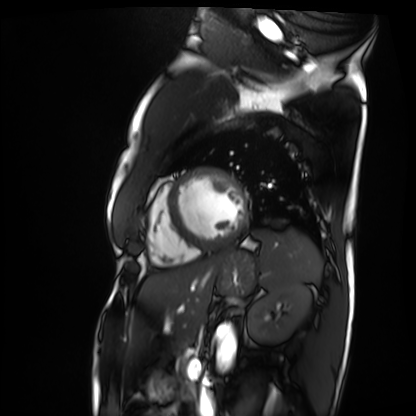
modality: cardiac MRI
cohort: patient